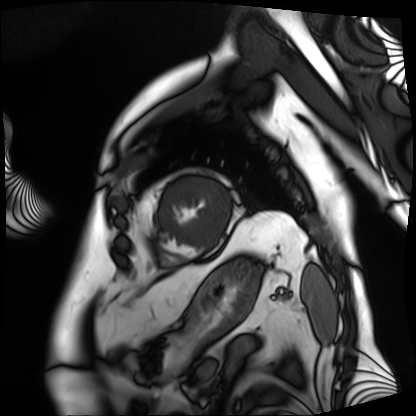
Cardiac MRI. Subject group: patient.